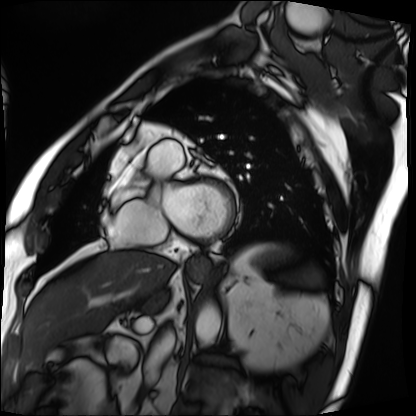
Case:
– modality — cardiac MRI
– subject group — patient